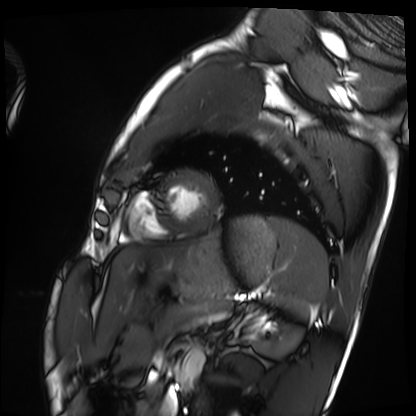
{"modality": "cardiac MRI", "cohort": "healthy volunteer"}